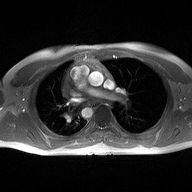
Clinical context: 2D phase-contrast cine MRI of the ascending aorta, high-resolution GRAPPA acquisition.